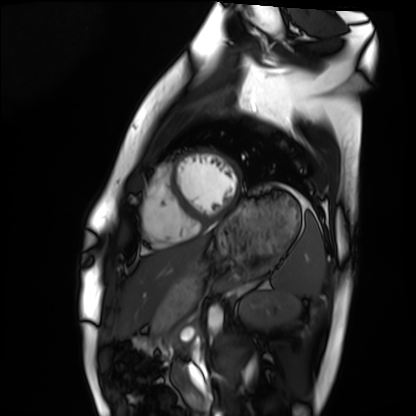
Clinical context:
Cardiac MRI. Subject group: healthy volunteer.